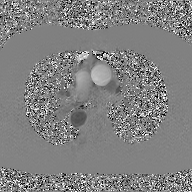
2D phase-contrast cine MRI of the ascending aorta, GAN super-resolution reconstruction.